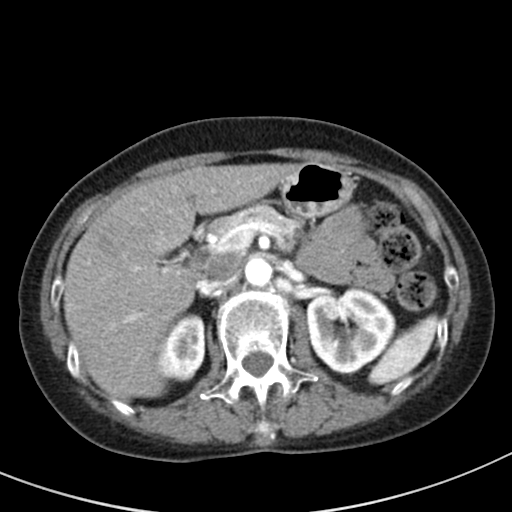
{
  "modality": {
    "type": "multiphase abdominal CT",
    "region": "liver",
    "phase": "arterial"
  },
  "patient": {
    "sex": "female",
    "age": 64
  },
  "history": [
    "prior chemotherapy"
  ]
}